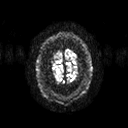
3 Tesla brain MRI. Study: ring-enhancing brain masses.